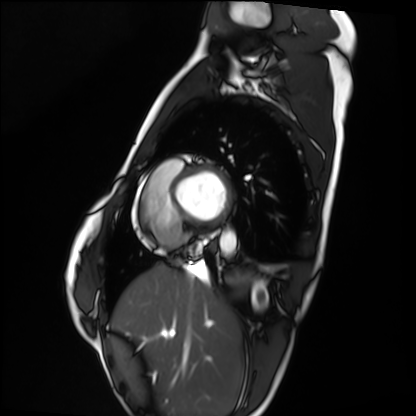
Q: What kind of scan is this?
A: Cardiac MRI.
Subject group: healthy volunteer.